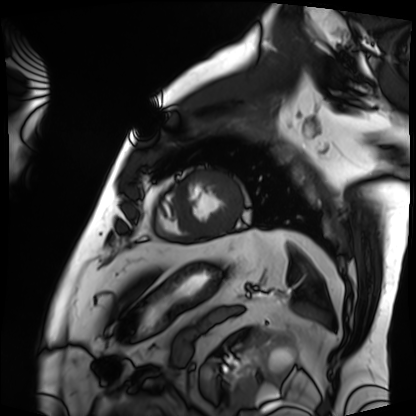
Q: What kind of scan is this?
A: Cardiac MRI.
Subject group: patient.